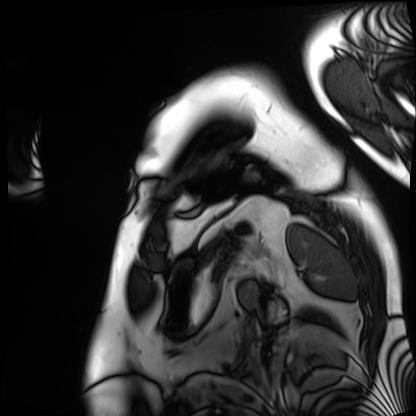
Q: What kind of scan is this?
A: Cardiac MRI.
Subject group: patient.